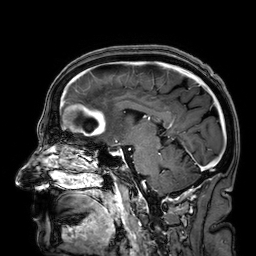
<scan>
<modality>
  <type>brain MRI</type>
  <field_strength>3T</field_strength>
</modality>
<study_topic>ring-enhancing brain masses</study_topic>
</scan>